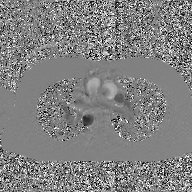
Clinical context:
2D phase-contrast cine MRI of the ascending aorta, GAN super-resolution reconstruction.